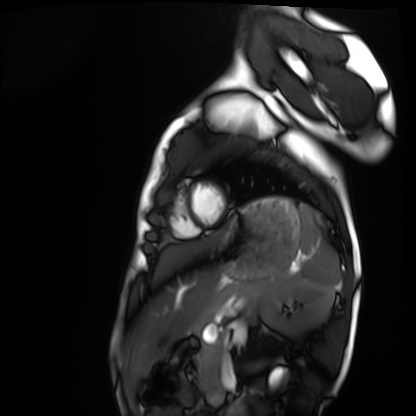
Cardiac MRI. Subject group: healthy volunteer.